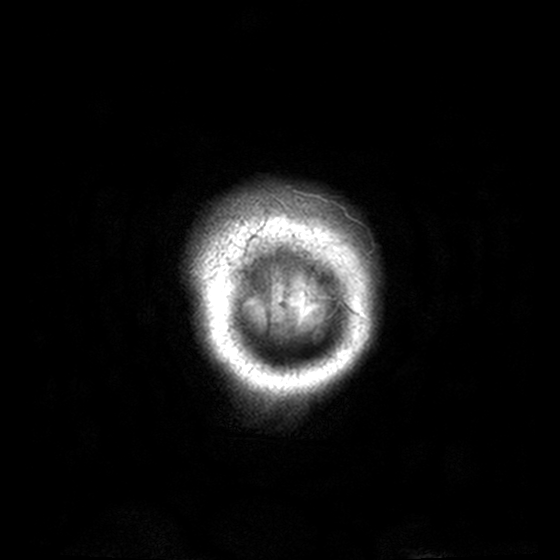
| field | value |
|---|---|
| modality | 3 Tesla brain MRI |
| series | T2-weighted turbo spin echo, 3 mm |
| study | ring-enhancing brain masses |